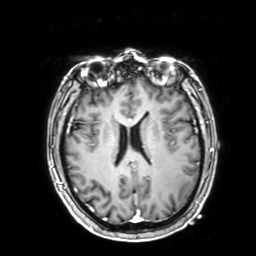
modality: 3 Tesla brain MRI; study: ring-enhancing brain masses.